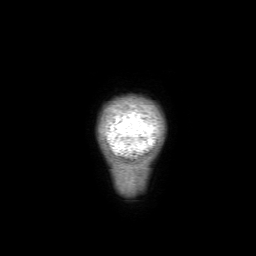
3 Tesla brain MRI. Series: 3D T1-weighted with SENSE. Study: ring-enhancing brain masses.